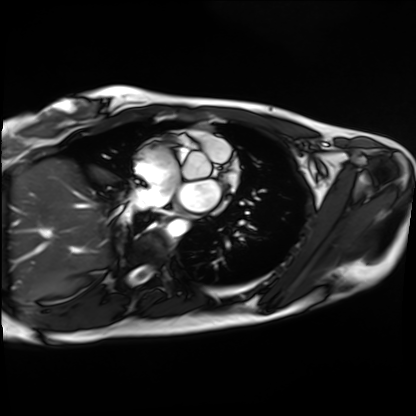
Cardiac MRI. Subject group: healthy volunteer.